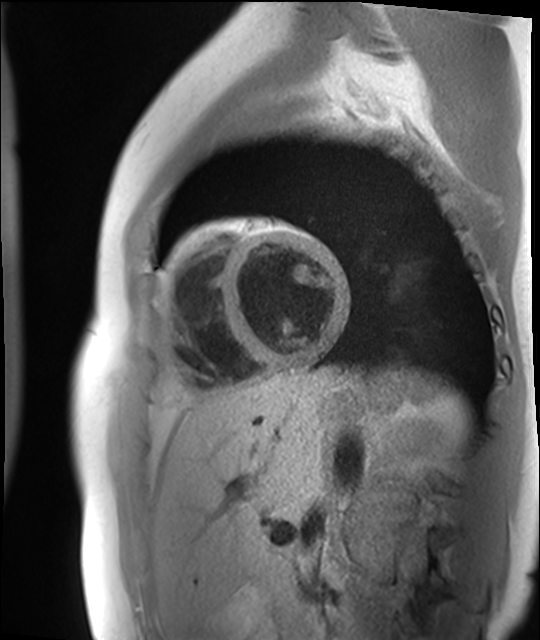
Cardiac MR image of the myocardium. Subject cohort: healthy volunteer.